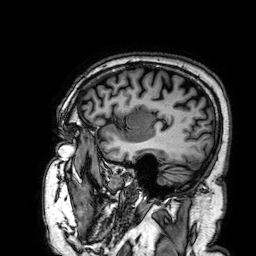
Summary: 3 Tesla brain MRI. Series: 3D T1-weighted. Study: ring-enhancing brain masses.